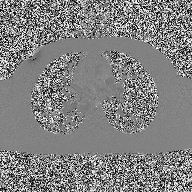
Summary: 2D phase-contrast cine MRI of the ascending aorta, high-resolution GRAPPA acquisition.